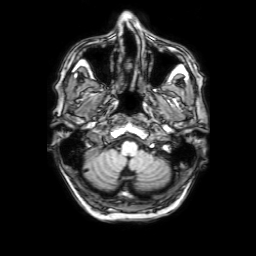
3 Tesla brain MRI. Series: 3D T1-weighted with SENSE. Study: ring-enhancing brain masses.